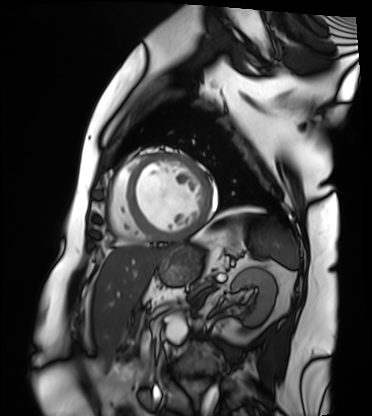
Summary:
Cardiac MRI. Subject group: patient.